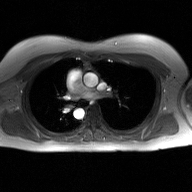
2D phase-contrast cine MRI of the ascending aorta, GAN super-resolution reconstruction.